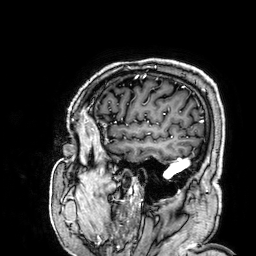
Case:
– modality: 3 Tesla brain MRI
– series: 3D T1-weighted
– study: ring-enhancing brain masses